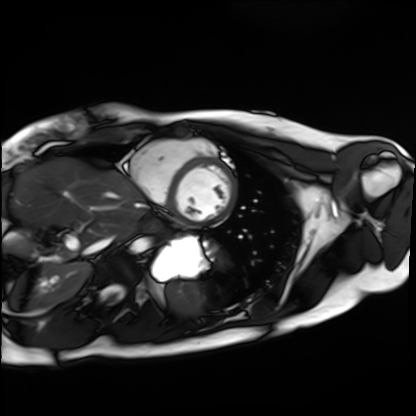
Cardiac MRI. Subject group: healthy volunteer.